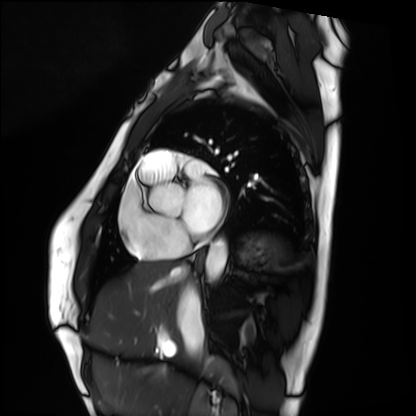
modality = cardiac MRI; subject group = healthy volunteer.